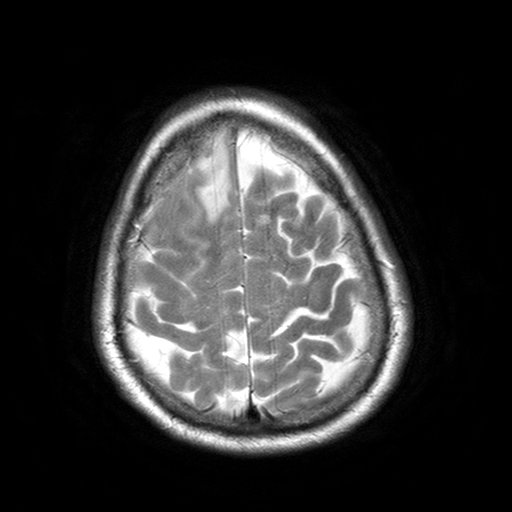
3 Tesla brain MRI. Series: T2-weighted turbo spin echo with SENSE. Study: ring-enhancing brain masses.